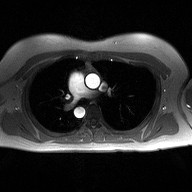
Q: What kind of scan is this?
A: 2D phase-contrast cine MRI of the ascending aorta.